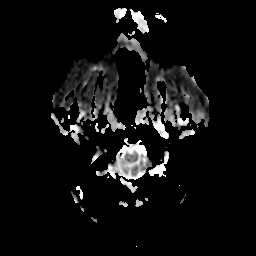
Summary:
3 Tesla brain MRI. Series: apparent diffusion coefficient (ADC) map. Study: ring-enhancing brain masses.